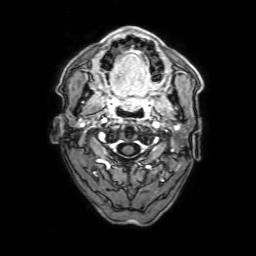
Case summary:
3 Tesla brain MRI. Series: 3D T1-weighted with SENSE. Study: ring-enhancing brain masses.